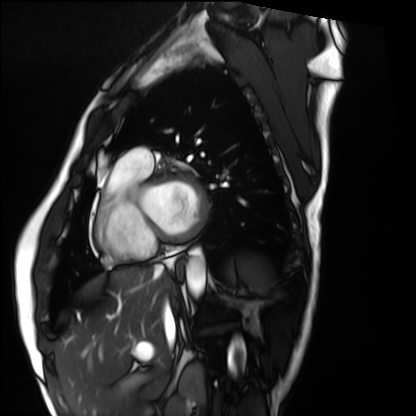
modality: cardiac MRI | subject group: healthy volunteer.